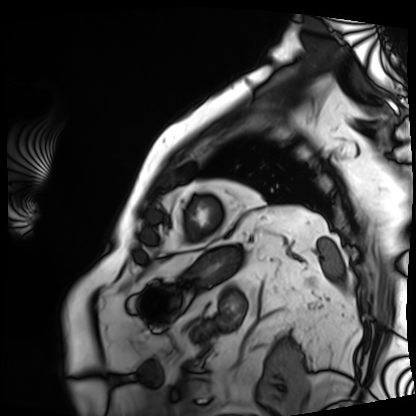
Summary:
Cardiac MRI. Subject group: patient.